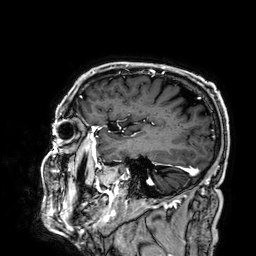
<case>
<modality>
  <type>brain MRI</type>
  <field_strength>3T</field_strength>
</modality>
<series>3D T1-weighted</series>
<study_topic>ring-enhancing brain masses</study_topic>
</case>